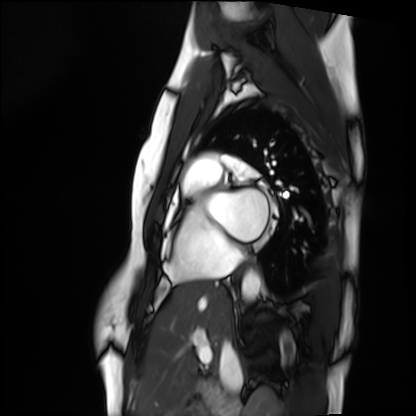
Q: What kind of scan is this?
A: Cardiac MRI.
Subject group: healthy volunteer.